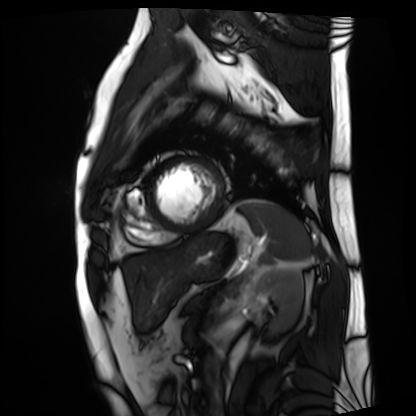
Cardiac MRI.
Subject group: patient.